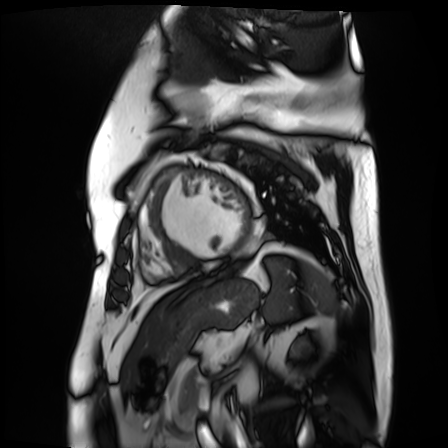
Cardiac MR image of the myocardium. Subject cohort: cardiac patient.